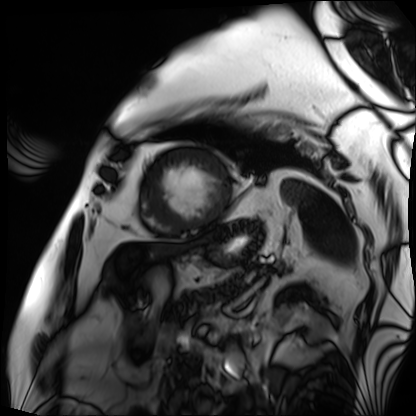
Q: What kind of scan is this?
A: Cardiac MRI.
Subject group: patient.